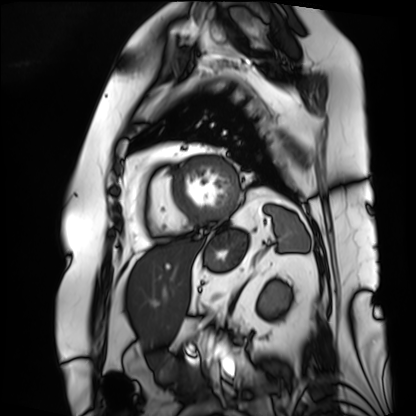
Cardiac MRI. Subject group: patient.